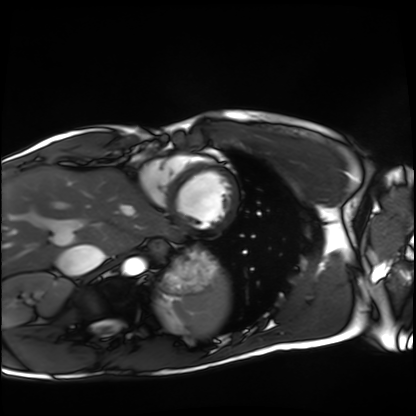
modality: cardiac MRI | subject group: healthy volunteer.